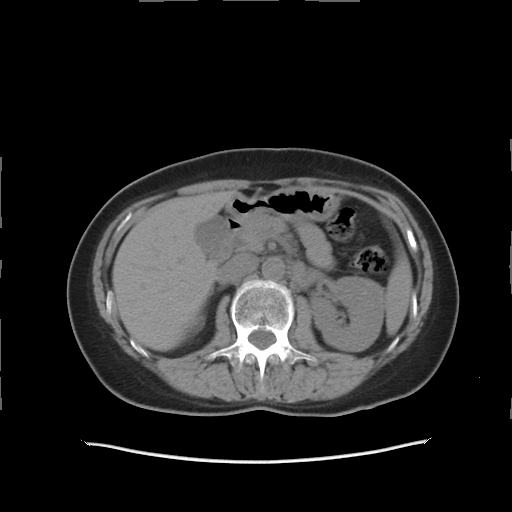
Multiphase abdominal CT, liver, non-contrast phase.
Patient: female, age 51.
History: prior chemotherapy.